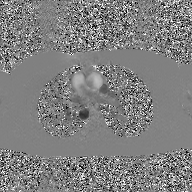
modality = 2D phase-contrast cine MRI of the ascending aorta, GAN super-resolution reconstruction.